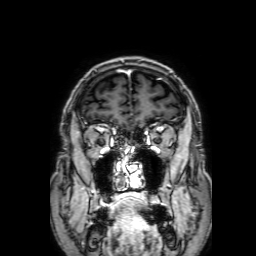
| field | value |
|---|---|
| modality | 3 Tesla brain MRI |
| series | 3D T1-weighted with SENSE |
| study | ring-enhancing brain masses |